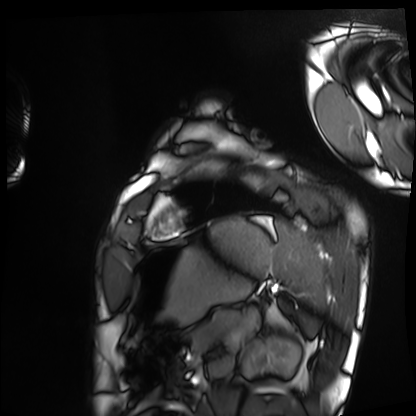
Summary: Cardiac MRI. Subject group: healthy volunteer.